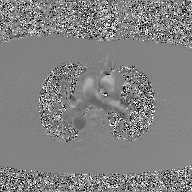
2D phase-contrast cine MRI of the ascending aorta, GAN super-resolution reconstruction.